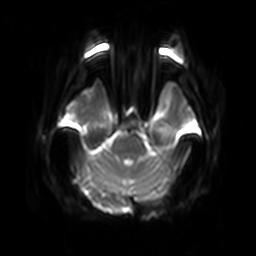
3 Tesla brain MRI. Series: diffusion-weighted imaging with SENSE (WIP). Study: ring-enhancing brain masses.